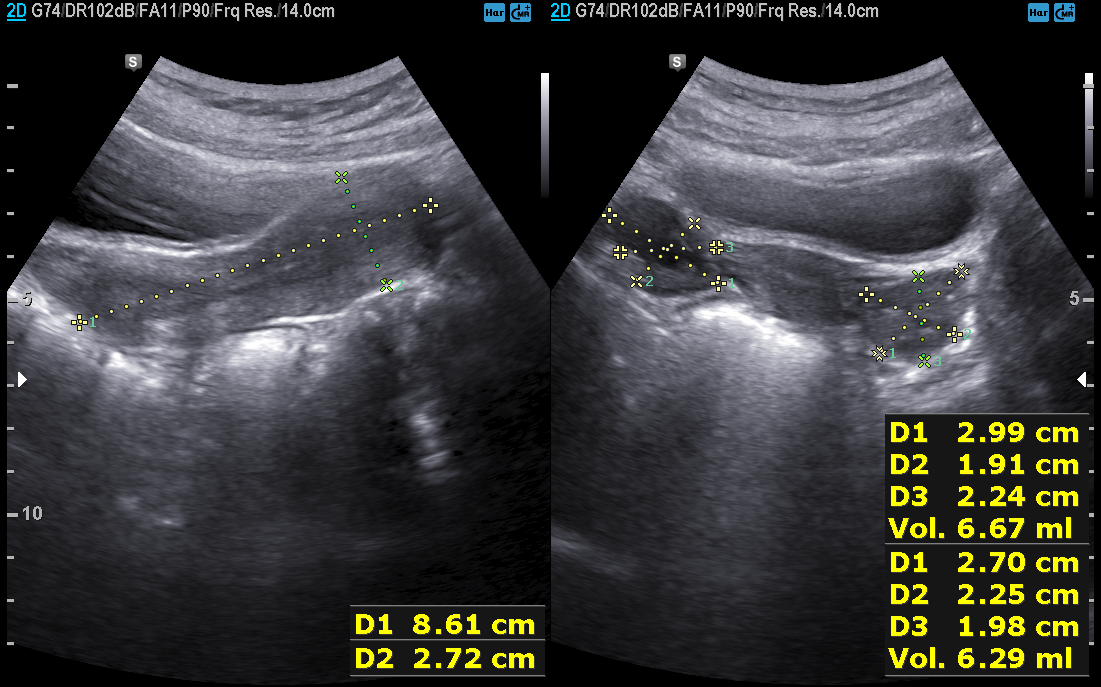
Genitourinary ultrasound.